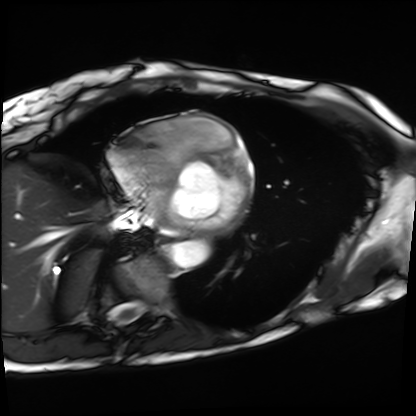
Cardiac MRI. Subject group: patient.